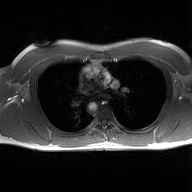
modality=2D phase-contrast cine MRI of the ascending aorta.